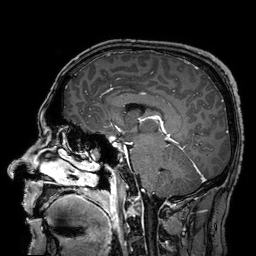
3 Tesla brain MRI.
Series: 3D T1-weighted turbo field echo with SENSE.
Study: ring-enhancing brain masses.